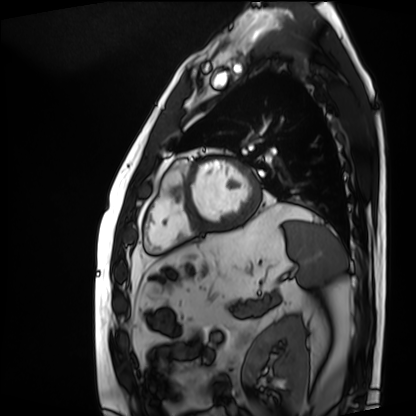
Cardiac MRI. Subject group: patient.